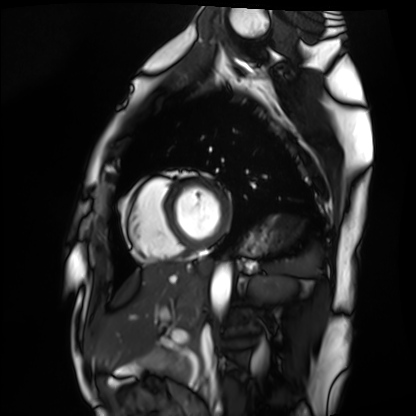
Summary:
Cardiac MRI. Subject group: healthy volunteer.